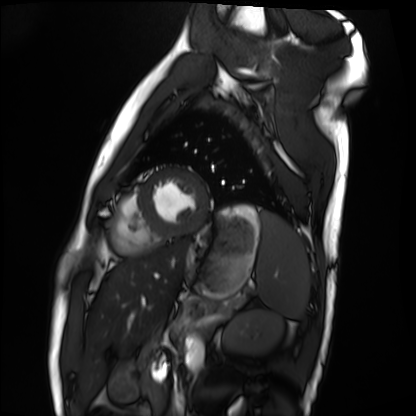
Summary: Cardiac MRI. Subject group: healthy volunteer.